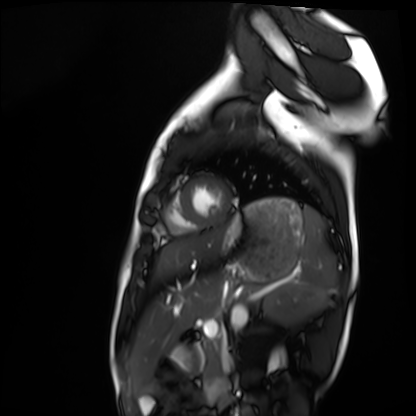
Case summary:
Cardiac MRI. Subject group: healthy volunteer.